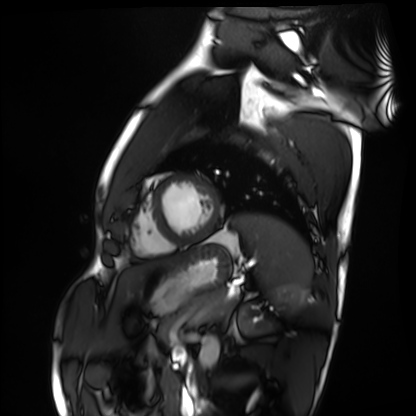
Cardiac MRI. Subject group: healthy volunteer.